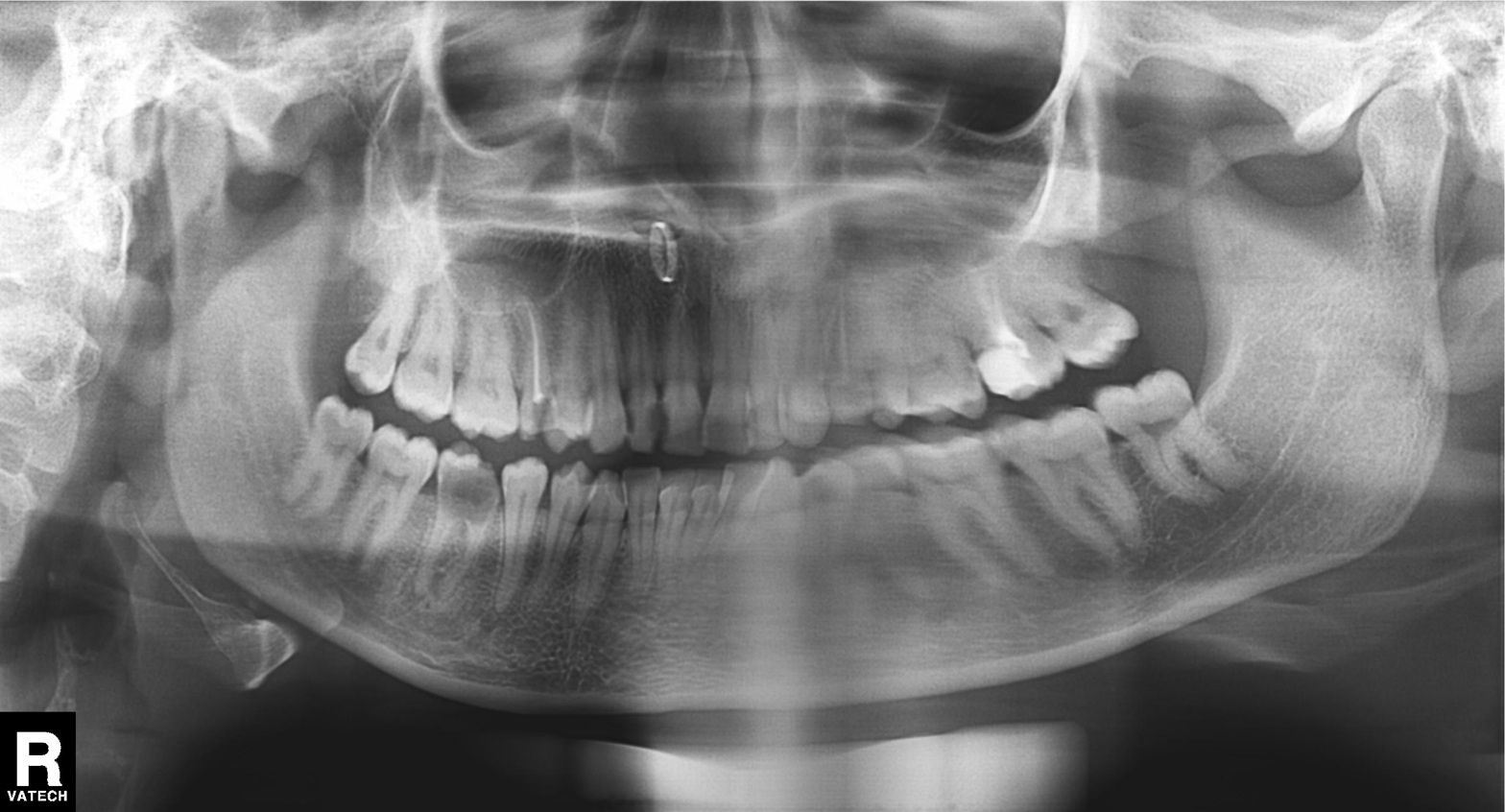
<case>
  <modality>panoramic dental radiograph (orthopantomogram)</modality>
  <finding>tooth impaction</finding>
</case>